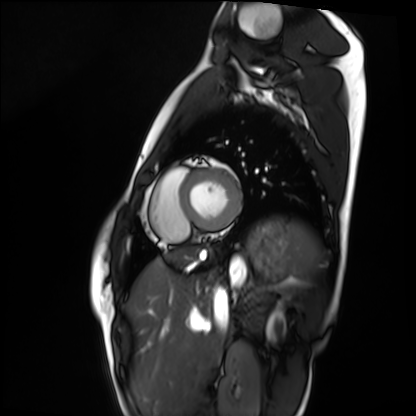
{
  "modality": "cardiac MRI",
  "cohort": "healthy volunteer"
}